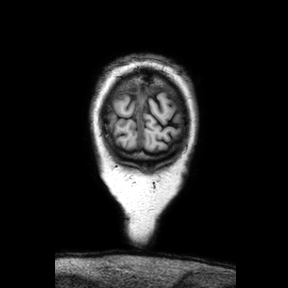
– modality · 3 Tesla brain MRI
– series · coronal
– study · ring-enhancing brain masses